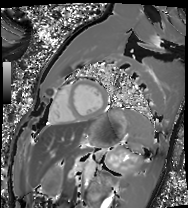
Q: What kind of scan is this?
A: Cardiac MRI.
Subject group: healthy volunteer.